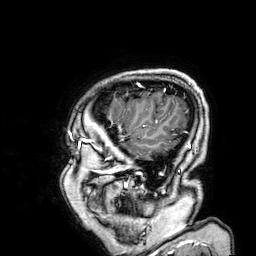
3 Tesla brain MRI. Series: 3D T1-weighted. Study: ring-enhancing brain masses.